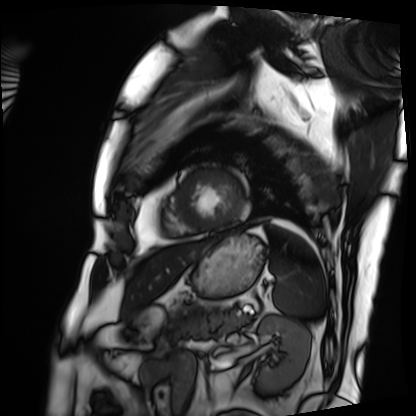
{
  "modality": "cardiac MRI",
  "cohort": "patient"
}